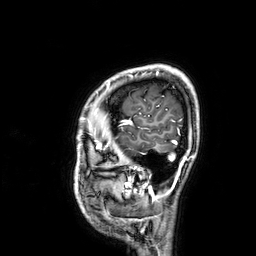
modality: 3 Tesla brain MRI; series: 3D T1-weighted; study: ring-enhancing brain masses.